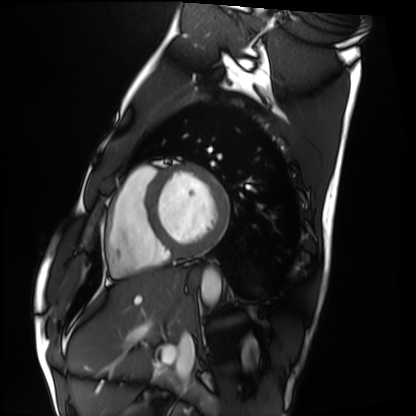
modality = cardiac MRI
subject group = healthy volunteer